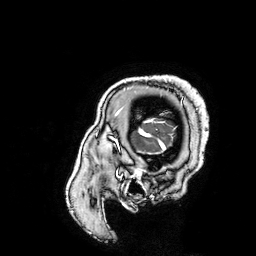
3 Tesla brain MRI. Series: 3D T1-weighted turbo field echo with SENSE. Study: ring-enhancing brain masses.